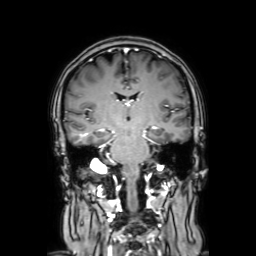
Case summary:
3 Tesla brain MRI. Series: coronal with contrast. Study: ring-enhancing brain masses.